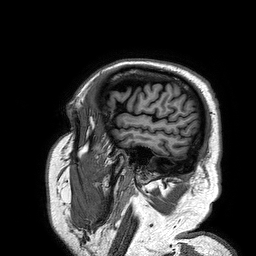
Case summary: 3 Tesla brain MRI. Series: 3D T1-weighted turbo field echo. Study: ring-enhancing brain masses.